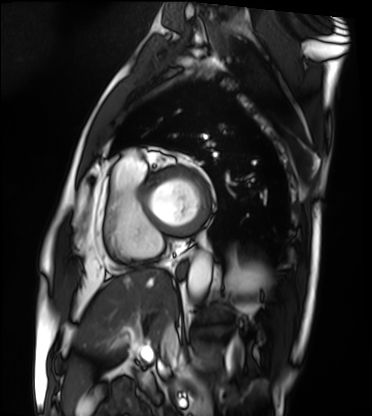
modality: cardiac MRI
cohort: patient